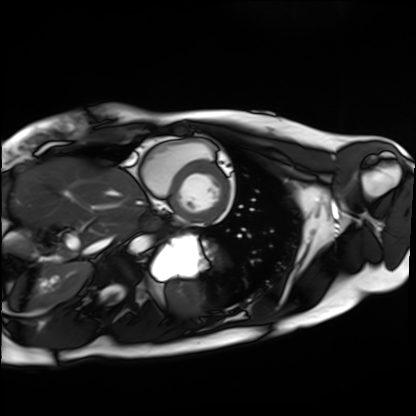
Case summary: Cardiac MRI. Subject group: healthy volunteer.